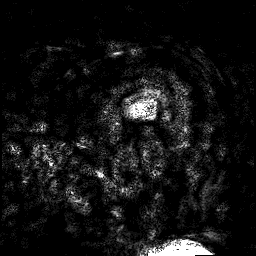
3 Tesla brain MRI.
Study: ring-enhancing brain masses.